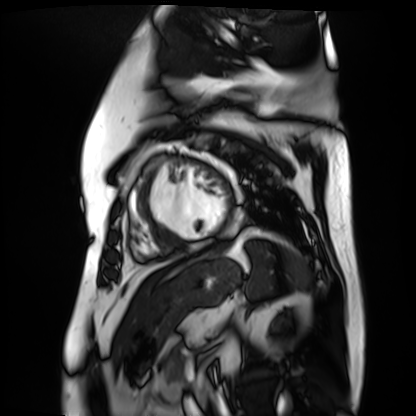
Cardiac MR image of the myocardium.
Subject cohort: cardiac patient.